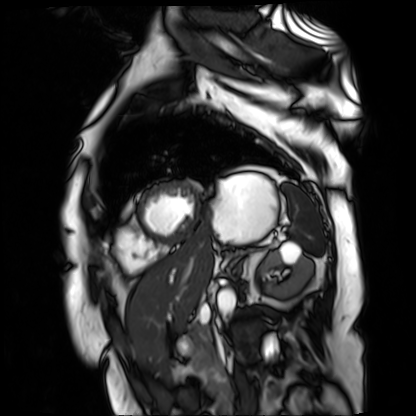
Cardiac MR image of the myocardium. Subject cohort: cardiac patient.